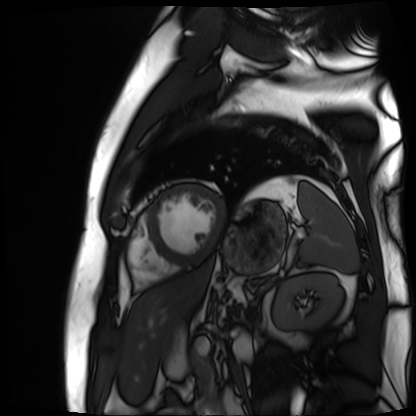
{
  "modality": "cardiac MR image of the myocardium",
  "cohort": "cardiac patient"
}